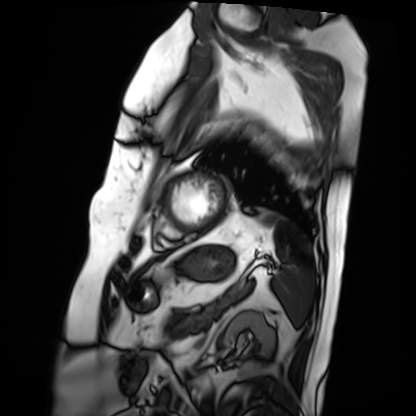
Case:
* modality · cardiac MRI
* subject group · patient